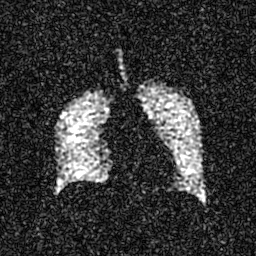
Hyperpolarized 129Xe ventilation MRI of the lungs.
SNR level 4 of 8 (the deposit holds this scan as its native image and as seven SNR-degraded versions).